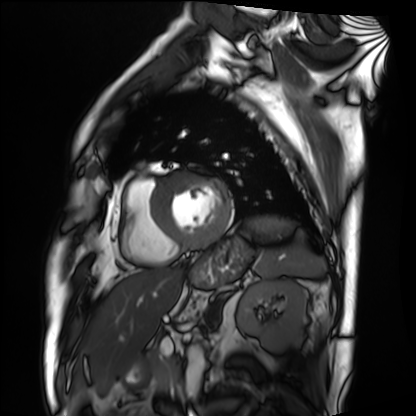
- modality — cardiac MRI
- subject group — patient